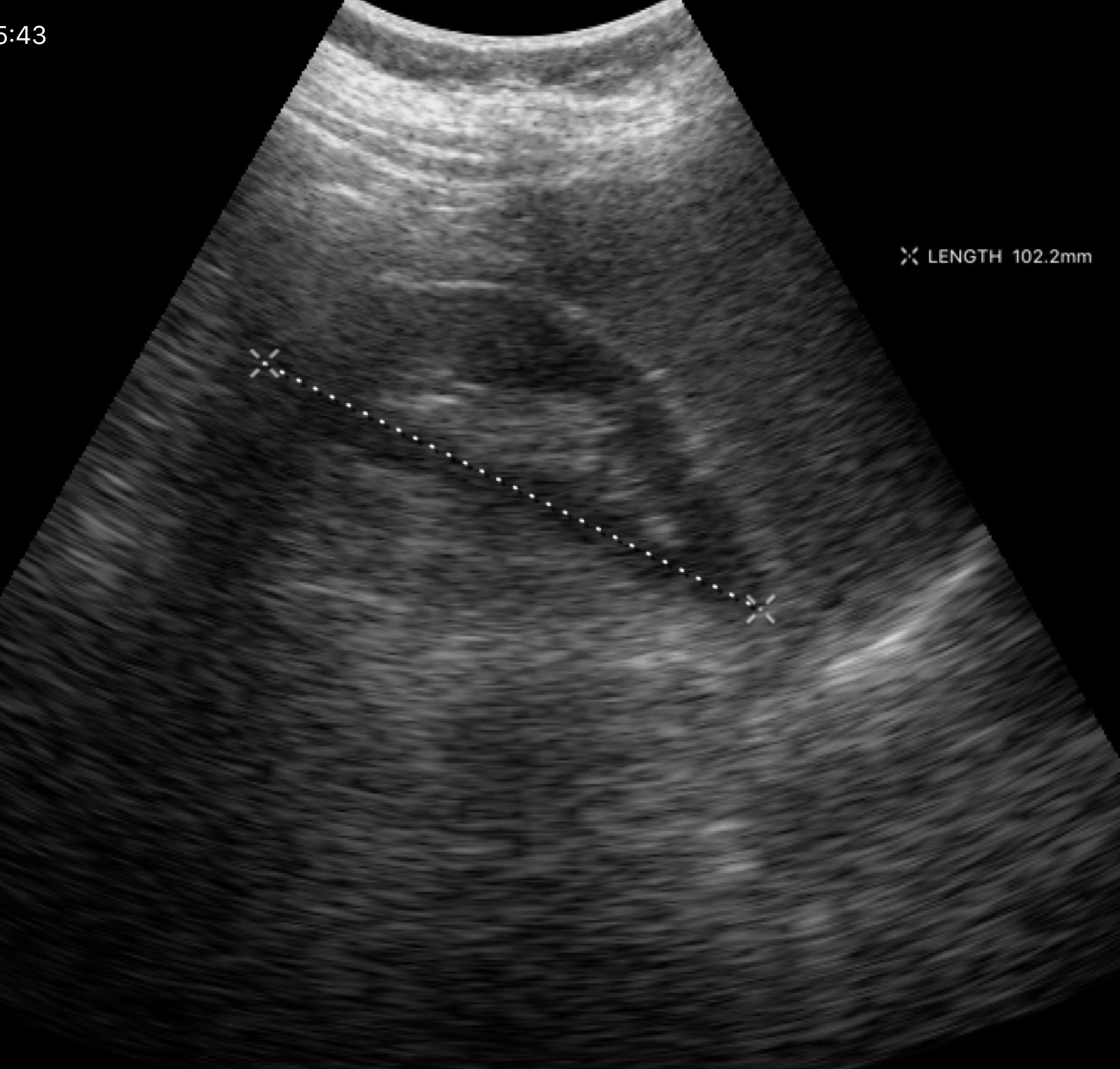
modality: genitourinary ultrasound.